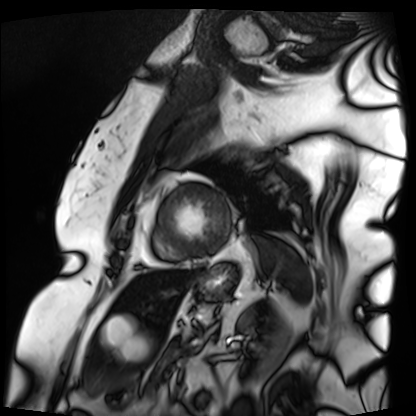
modality: cardiac MRI | subject group: patient.